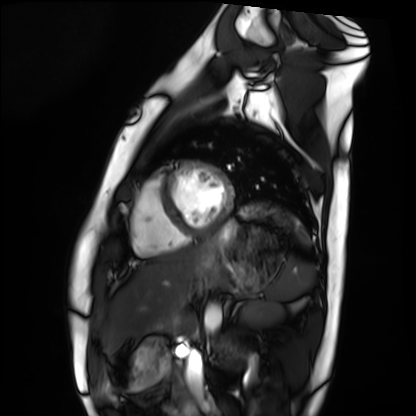
modality: cardiac MRI | subject group: healthy volunteer.